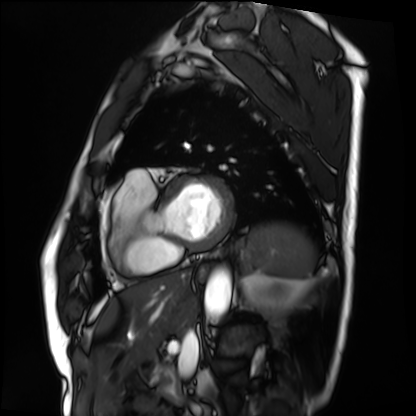
Clinical context:
Cardiac MRI. Subject group: patient.